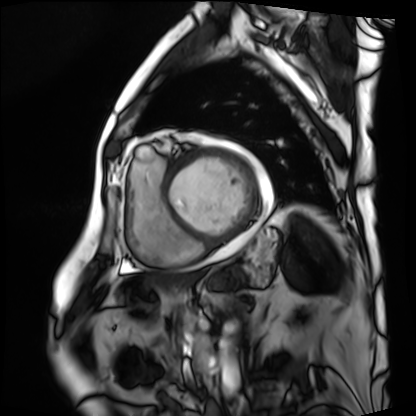
Case:
- modality — cardiac MRI
- subject group — patient